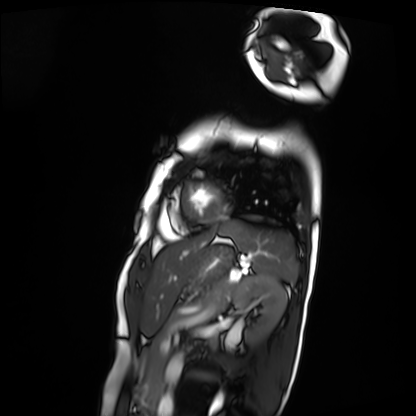
modality — cardiac MRI
subject group — patient